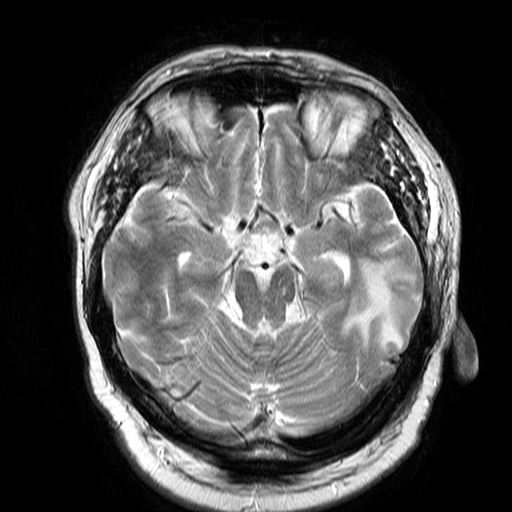
3 Tesla brain MRI.
Series: T2-weighted turbo spin echo.
Study: ring-enhancing brain masses.